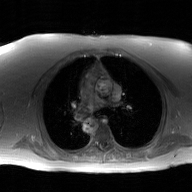
2D phase-contrast cine MRI of the ascending aorta, GAN super-resolution reconstruction.